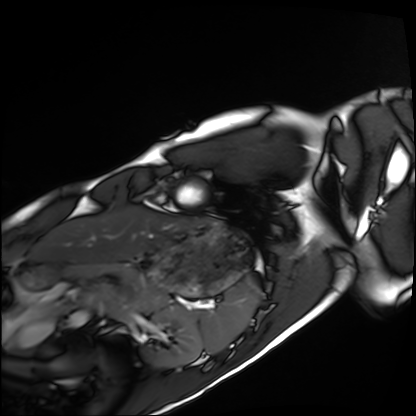
Cardiac MRI. Subject group: healthy volunteer.